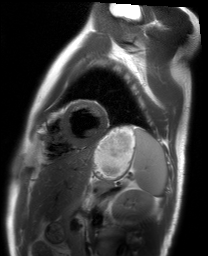
Case:
* modality — cardiac MRI
* subject group — healthy volunteer